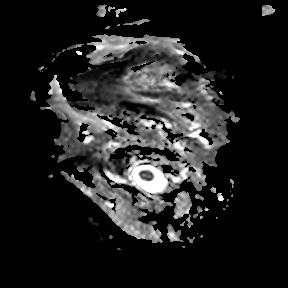
<record>
<modality>
  <type>brain MRI</type>
  <field_strength>3T</field_strength>
</modality>
<series>apparent diffusion coefficient (ADC) map</series>
<study_topic>ring-enhancing brain masses</study_topic>
</record>